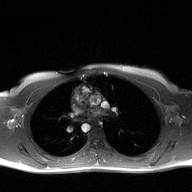
2D phase-contrast cine MRI of the ascending aorta, high-resolution GRAPPA acquisition.